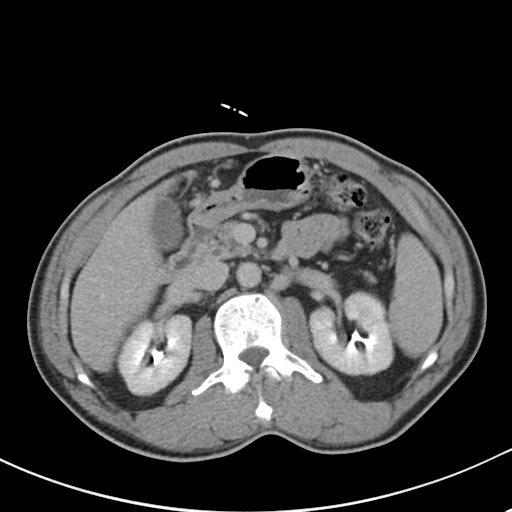
Summary:
Multiphase abdominal CT, liver, delayed phase. Patient: male, age 52. History: cirrhosis, viral hepatitis.